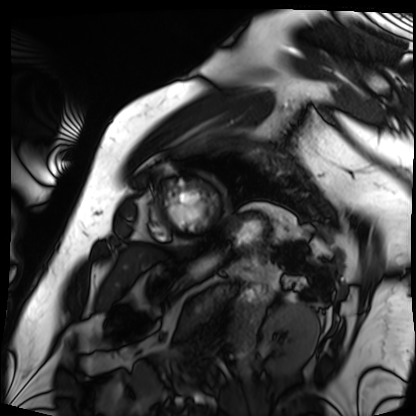
Case summary:
Cardiac MRI. Subject group: patient.